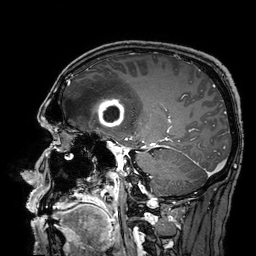
3 Tesla brain MRI. Series: 3D T1-weighted turbo field echo with SENSE. Study: ring-enhancing brain masses.